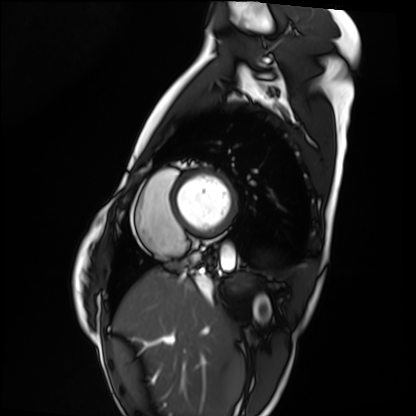
Cardiac MRI. Subject group: healthy volunteer.